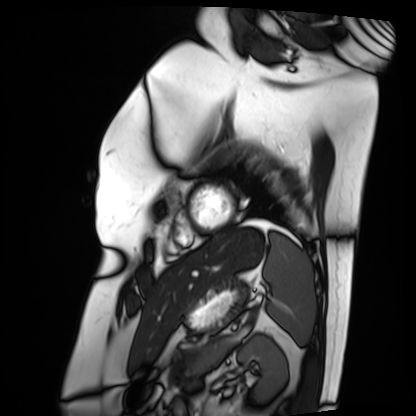
  modality: cardiac MRI
  cohort: patient